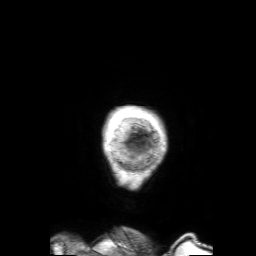
3 Tesla brain MRI. Series: 3D T1-weighted with SENSE. Study: ring-enhancing brain masses.